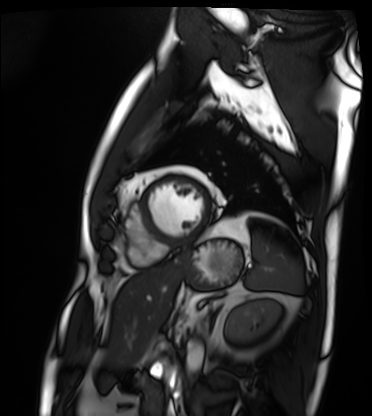
Q: What kind of scan is this?
A: Cardiac MRI.
Subject group: patient.